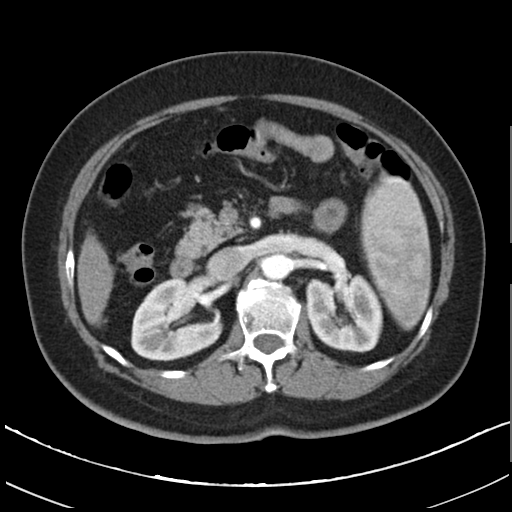
modality — multiphase abdominal CT, liver, arterial phase | patient — female, age 64 | history — cirrhosis, viral hepatitis.